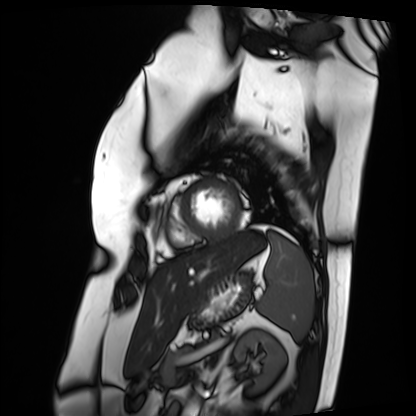
Clinical context: Cardiac MRI. Subject group: patient.